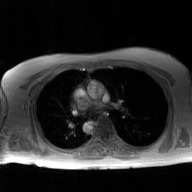
2D phase-contrast cine MRI of the ascending aorta, GAN super-resolution reconstruction.